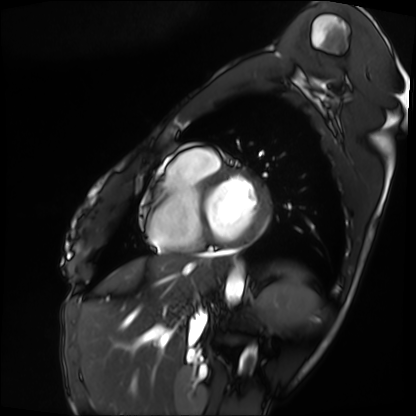
Q: What kind of scan is this?
A: Cardiac MRI.
Subject group: patient.